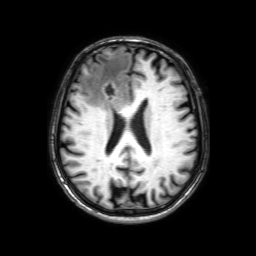
Q: What kind of scan is this?
A: 3 Tesla brain MRI.
Q: Series?
A: 3D T1-weighted with SENSE.
Study: ring-enhancing brain masses.